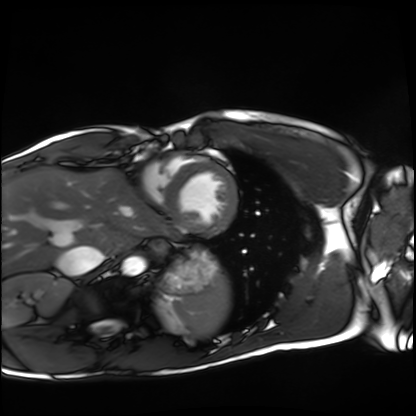
Cardiac MRI.
Subject group: healthy volunteer.